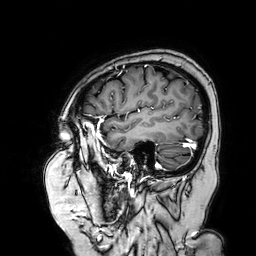
Q: What kind of scan is this?
A: 3 Tesla brain MRI.
Q: Series?
A: 3D T1-weighted turbo field echo with SENSE.
Study: ring-enhancing brain masses.